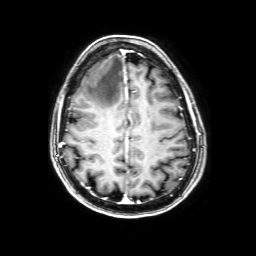
modality = 3 Tesla brain MRI; series = 3D T1-weighted with SENSE; study = ring-enhancing brain masses.